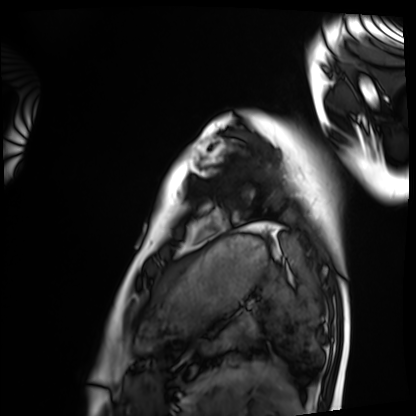
modality: cardiac MRI
cohort: healthy volunteer